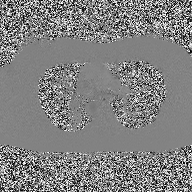
2D phase-contrast cine MRI of the ascending aorta, high-resolution GRAPPA acquisition.